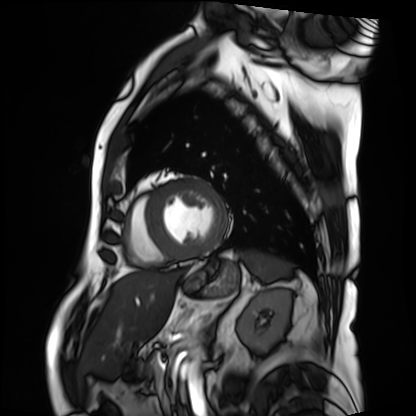
<scan>
  <modality>cardiac MRI</modality>
  <cohort>patient</cohort>
</scan>